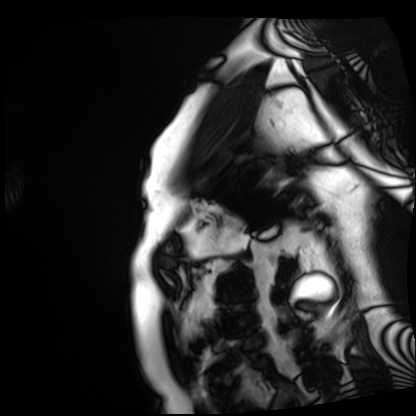
Cardiac MRI.
Subject group: patient.